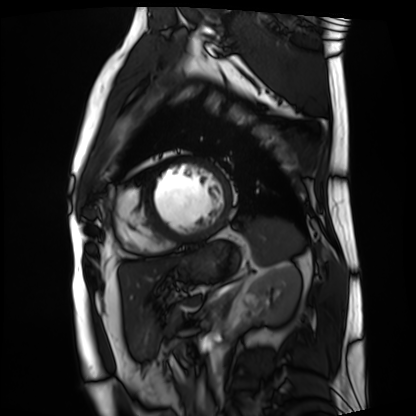
Case:
• modality — cardiac MRI
• subject group — patient